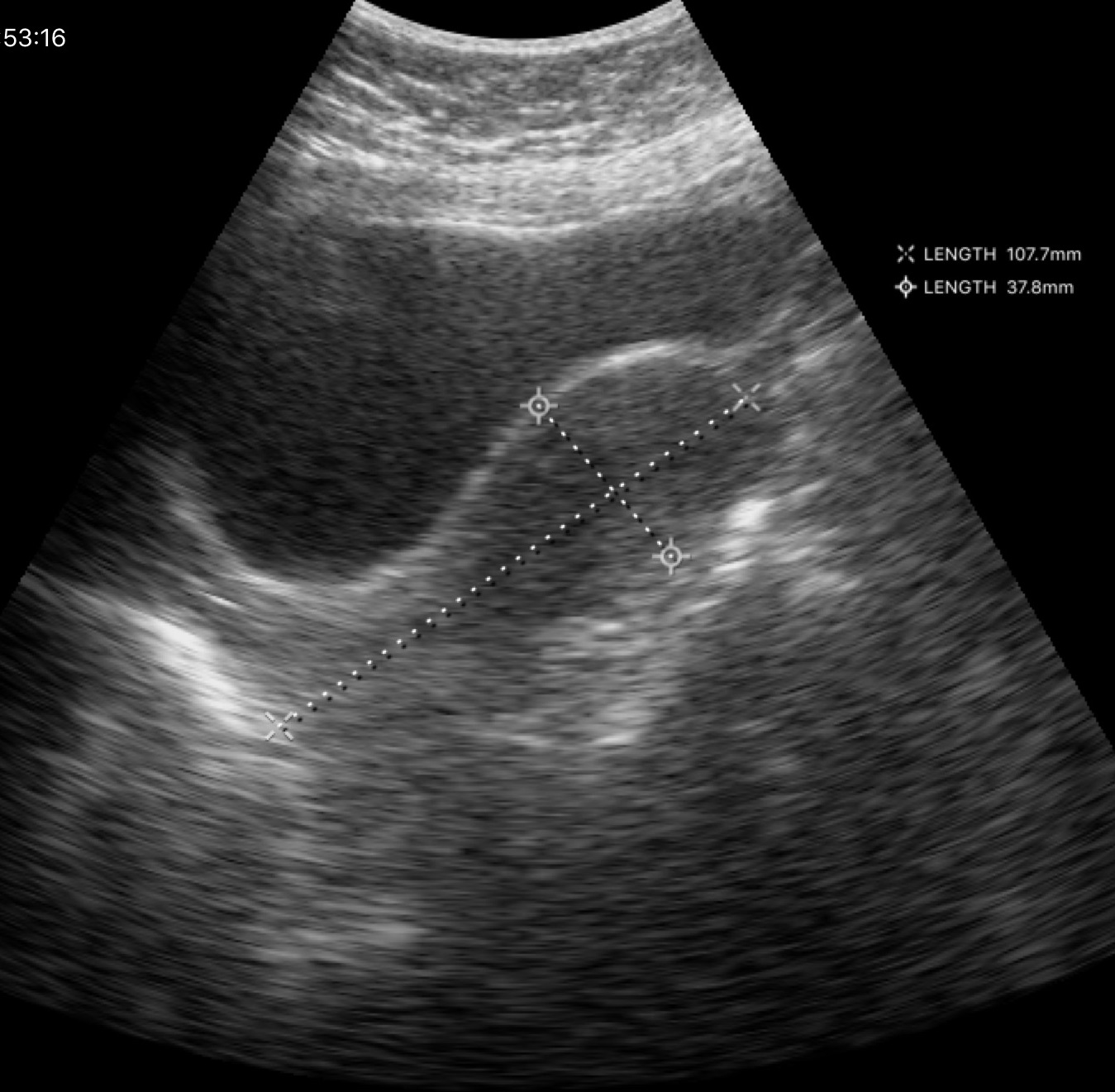
Genitourinary ultrasound.